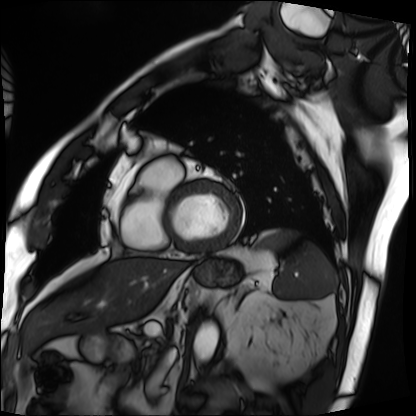
Summary: Cardiac MRI. Subject group: patient.